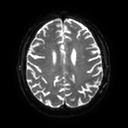
| field | value |
|---|---|
| modality | 3 Tesla brain MRI |
| study | ring-enhancing brain masses |